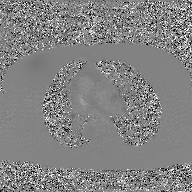
Summary:
2D phase-contrast cine MRI of the ascending aorta, GAN super-resolution reconstruction.